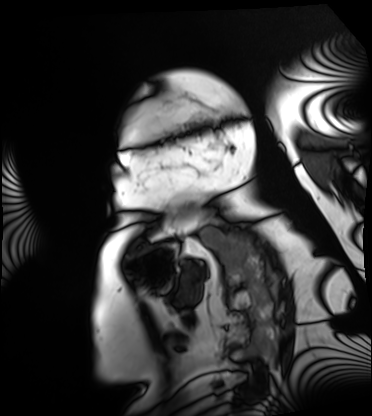
Summary: Cardiac MRI. Subject group: patient.